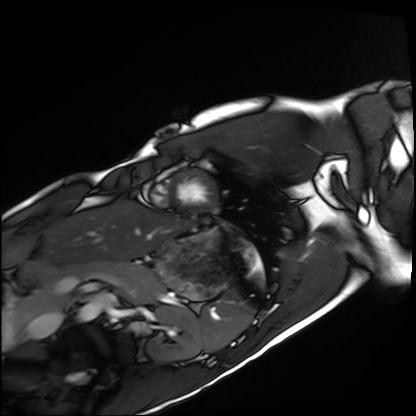
modality — cardiac MRI
subject group — healthy volunteer